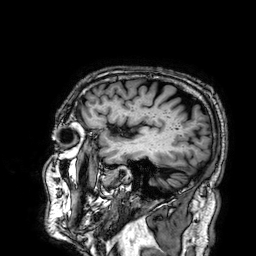
3 Tesla brain MRI.
Series: 3D T1-weighted.
Study: ring-enhancing brain masses.